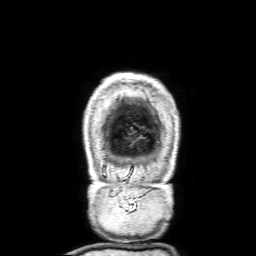
Q: What kind of scan is this?
A: 3 Tesla brain MRI.
Q: Series?
A: 3D T1-weighted with SENSE.
Study: ring-enhancing brain masses.